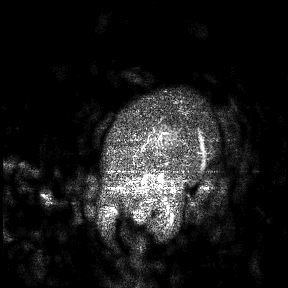
| field | value |
|---|---|
| modality | 3 Tesla brain MRI |
| study | ring-enhancing brain masses |